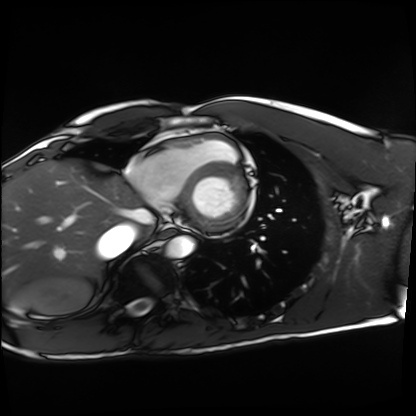
Summary:
Cardiac MRI. Subject group: healthy volunteer.